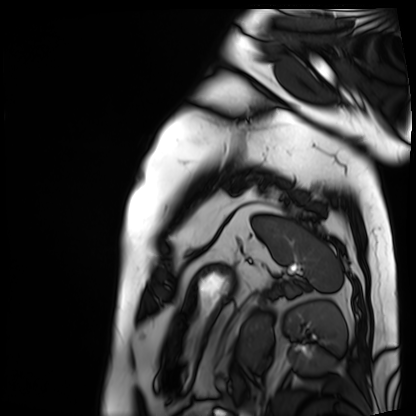
{"modality": "cardiac MRI", "cohort": "patient"}